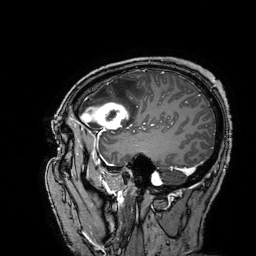
3 Tesla brain MRI.
Series: 3D T1-weighted turbo field echo with SENSE.
Study: ring-enhancing brain masses.